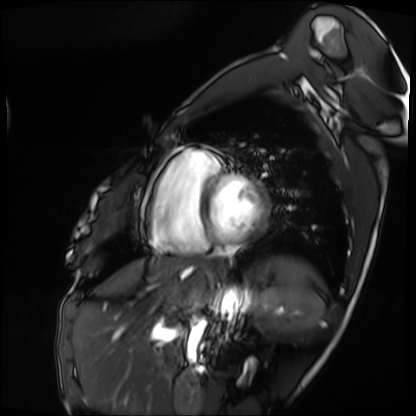
Cardiac MRI.
Subject group: patient.